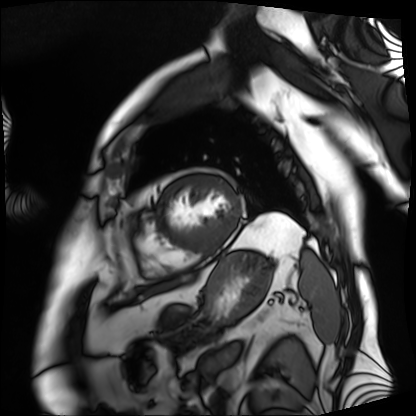
<case>
  <modality>cardiac MRI</modality>
  <cohort>patient</cohort>
</case>